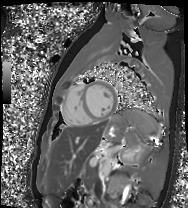
modality: cardiac MR image of the myocardium; subject cohort: healthy volunteer.